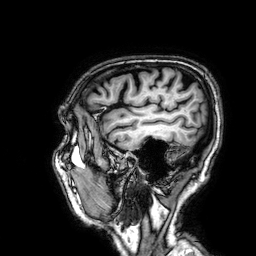
modality = 3 Tesla brain MRI
series = 3D T1-weighted
study = ring-enhancing brain masses